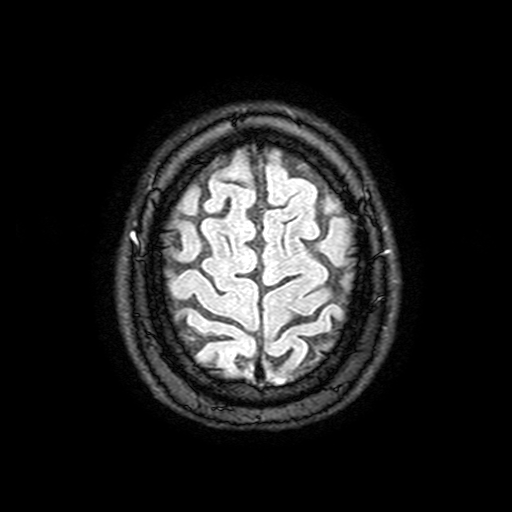
Summary:
3 Tesla brain MRI. Series: FLAIR with SPAIR, 3 mm. Study: ring-enhancing brain masses.